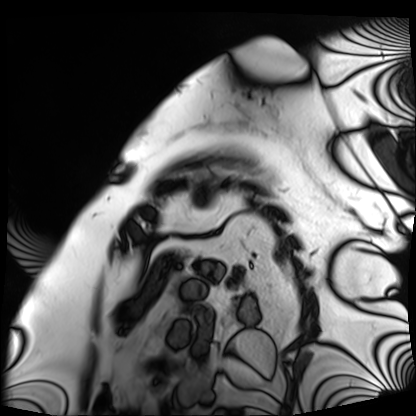
modality — cardiac MRI
subject group — patient